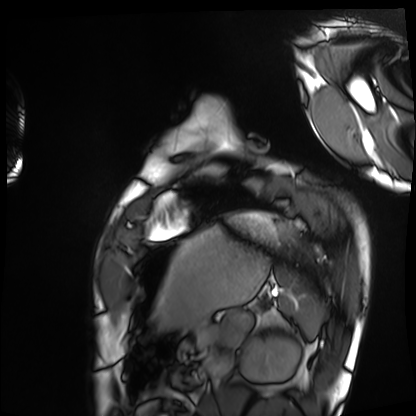
{
  "modality": "cardiac MRI",
  "cohort": "healthy volunteer"
}